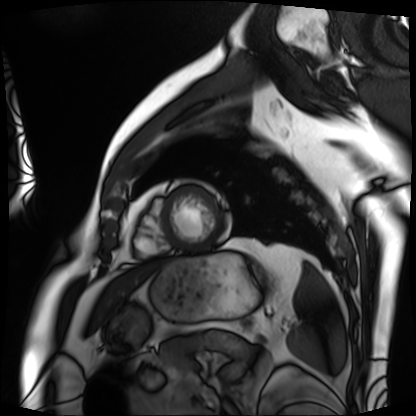
Clinical context: Cardiac MRI. Subject group: patient.